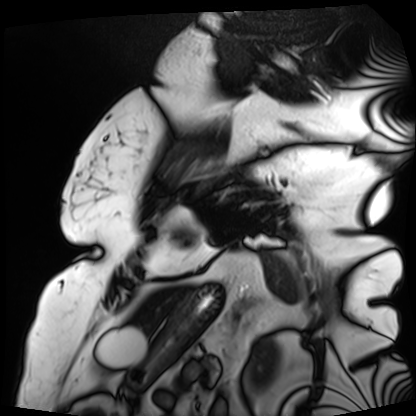
Clinical context: Cardiac MRI. Subject group: patient.